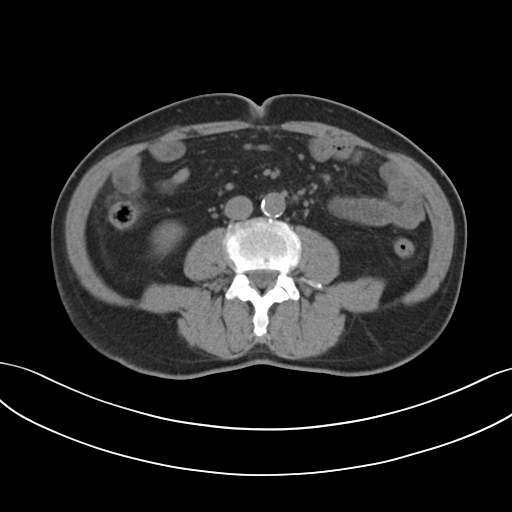
Q: What kind of scan is this?
A: Multiphase abdominal CT, liver, non-contrast phase.
Q: Patient?
A: Male, age 73.